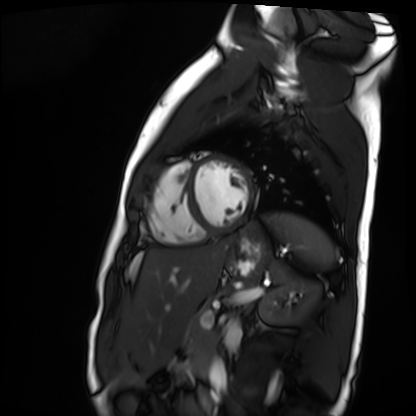
<record>
  <modality>cardiac MR image of the myocardium</modality>
  <cohort>healthy volunteer</cohort>
</record>